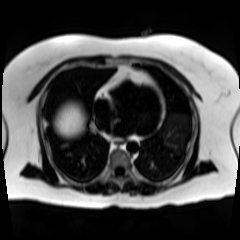
modality — chemical-shift-encoded cardiac MRI.